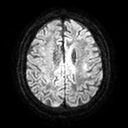
modality: 3 Tesla brain MRI; series: diffusion tensor imaging (medium iso); study: ring-enhancing brain masses.